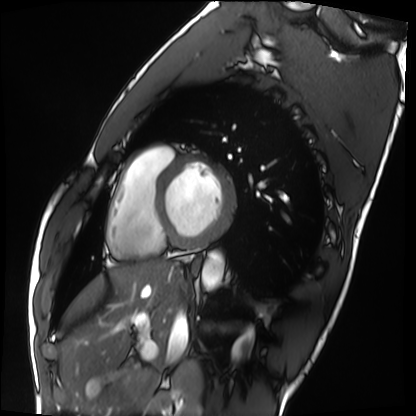
• modality: cardiac MRI
• subject group: healthy volunteer